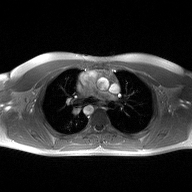
modality — 2D phase-contrast cine MRI of the ascending aorta